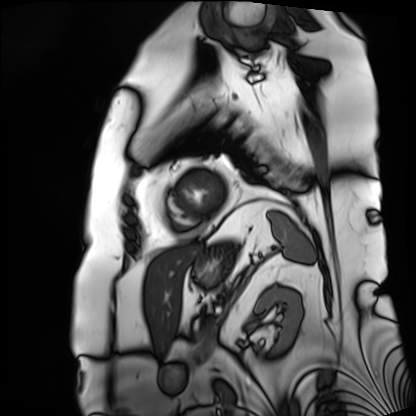
Summary: Cardiac MRI. Subject group: patient.